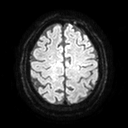
• modality: 3 Tesla brain MRI
• series: diffusion tensor imaging (medium iso)
• study: ring-enhancing brain masses